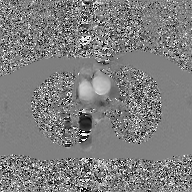
- modality · 2D phase-contrast cine MRI of the ascending aorta, GAN super-resolution reconstruction